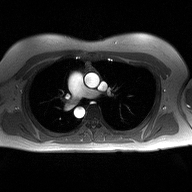
modality=2D phase-contrast cine MRI of the ascending aorta